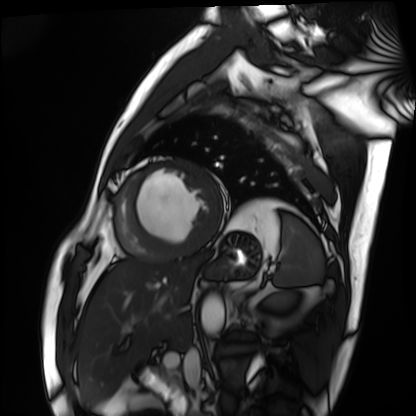
Cardiac MRI. Subject group: patient.